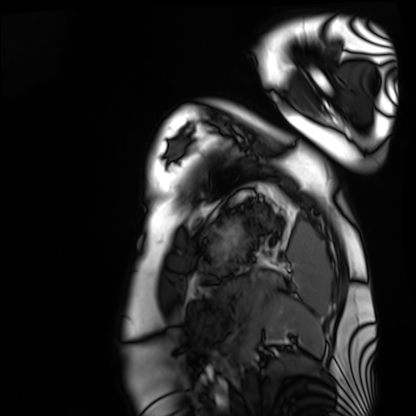
Summary: Cardiac MRI. Subject group: healthy volunteer.